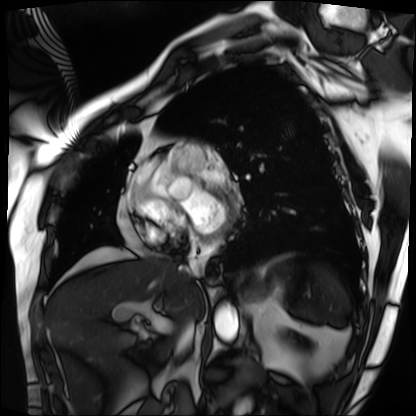
Q: What kind of scan is this?
A: Cardiac MRI.
Subject group: patient.